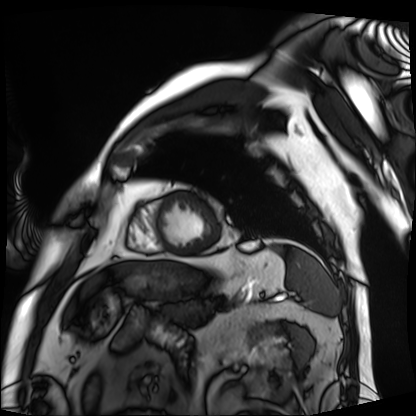
Q: What kind of scan is this?
A: Cardiac MRI.
Subject group: patient.